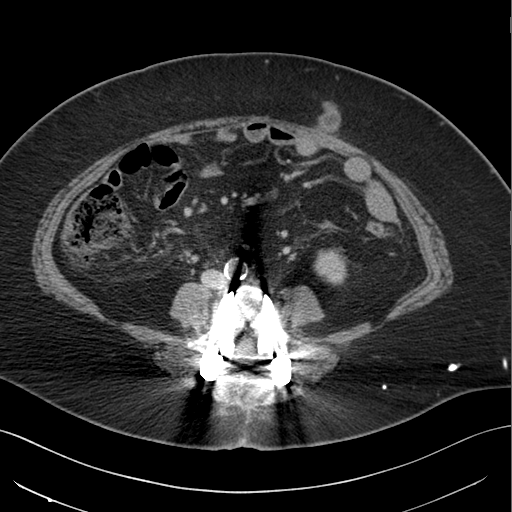
modality = multiphase abdominal CT, liver, delayed phase; patient = female, age 65.